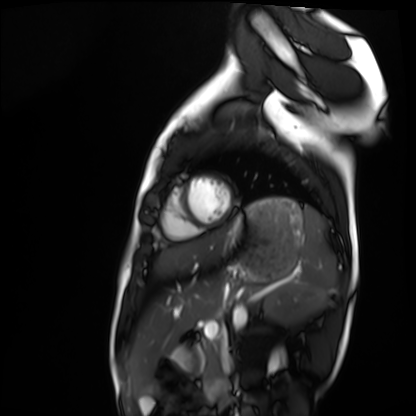
Cardiac MRI. Subject group: healthy volunteer.